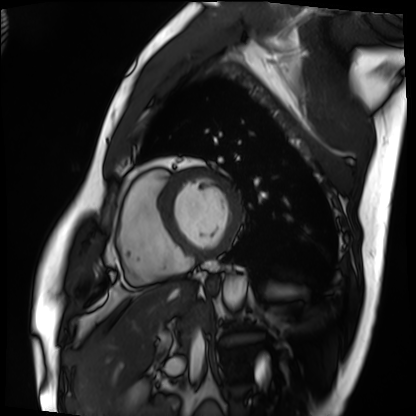
Summary: Cardiac MRI. Subject group: patient.